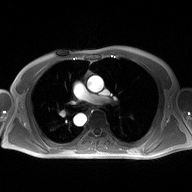
{"modality": {"type": "2D phase-contrast cine MRI", "region": "ascending aorta", "reconstruction": "high-resolution GRAPPA acquisition"}}